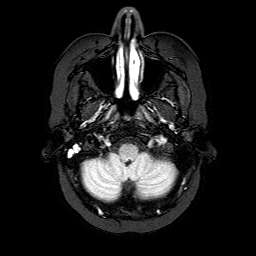
modality:
  type: brain MRI
  field_strength: 3T
series: FLAIR with SPAIR
study_topic: ring-enhancing brain masses